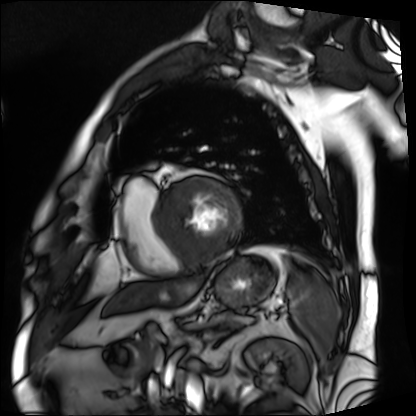
modality: cardiac MRI | subject group: patient.